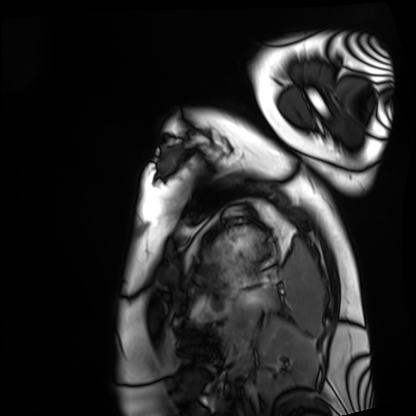
Clinical context: Cardiac MRI. Subject group: healthy volunteer.